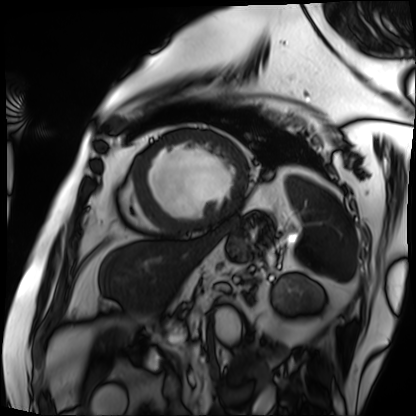
Q: What kind of scan is this?
A: Cardiac MRI.
Subject group: patient.